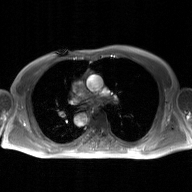
modality = 2D phase-contrast cine MRI of the ascending aorta, GAN super-resolution reconstruction.